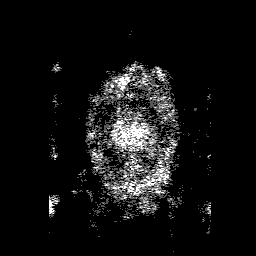
Q: What kind of scan is this?
A: 3 Tesla brain MRI.
Q: Series?
A: 3D T1-weighted with SENSE.
Study: ring-enhancing brain masses.